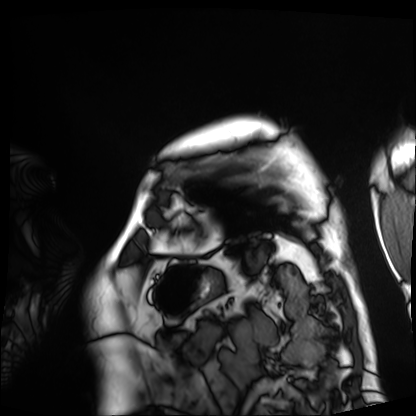
| field | value |
|---|---|
| modality | cardiac MRI |
| subject group | patient |